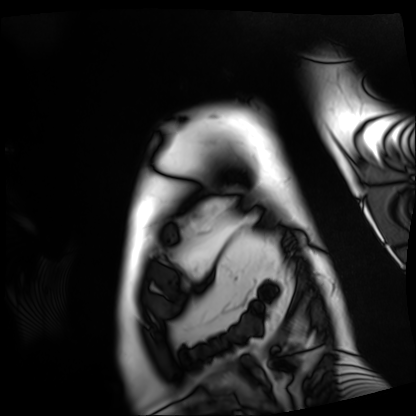
Q: What kind of scan is this?
A: Cardiac MRI.
Subject group: patient.